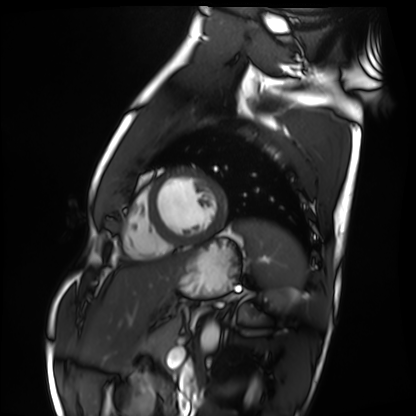
<case>
  <modality>cardiac MRI</modality>
  <cohort>healthy volunteer</cohort>
</case>